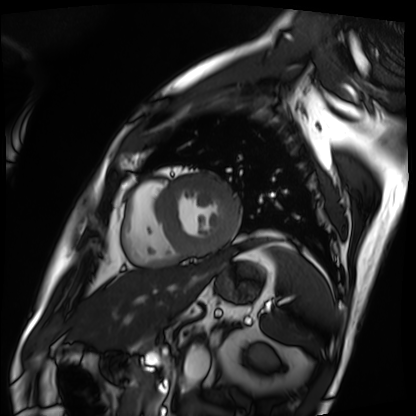
  modality: cardiac MRI
  cohort: patient